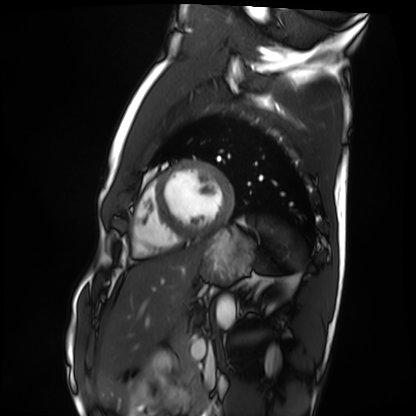
Q: What kind of scan is this?
A: Cardiac MRI.
Subject group: healthy volunteer.